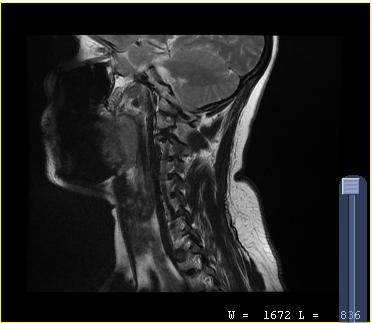
| field | value |
|---|---|
| modality | MRI of the cervical spine |
| study | cervical spondylosis |